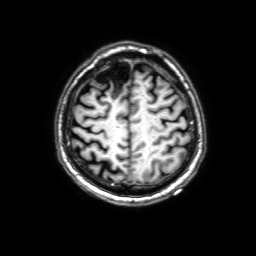
{
  "modality": {
    "type": "brain MRI",
    "field_strength": "3T"
  },
  "series": "3D T1-weighted with SENSE",
  "study_topic": "ring-enhancing brain masses"
}